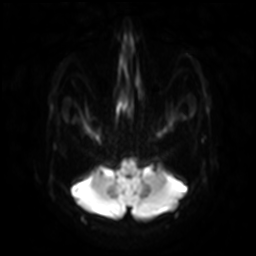
modality: 3 Tesla brain MRI | series: diffusion-weighted imaging with SENSE (WIP) | study: ring-enhancing brain masses.